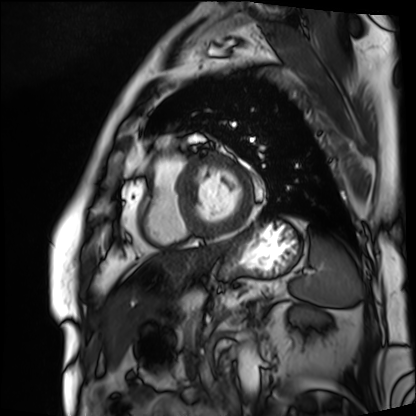
| field | value |
|---|---|
| modality | cardiac MRI |
| subject group | patient |